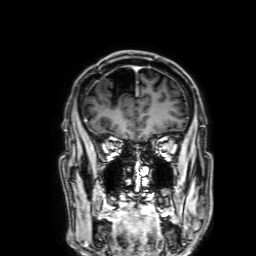
3 Tesla brain MRI.
Series: 3D T1-weighted with SENSE.
Study: ring-enhancing brain masses.